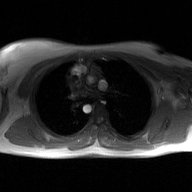
modality = 2D phase-contrast cine MRI of the ascending aorta, GAN super-resolution reconstruction